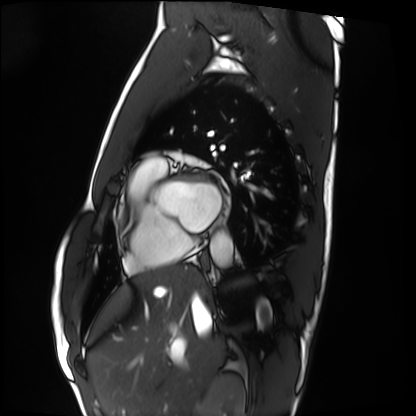
Cardiac MRI. Subject group: healthy volunteer.